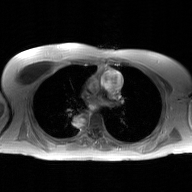
{"modality": {"type": "2D phase-contrast cine MRI", "region": "ascending aorta", "reconstruction": "GAN super-resolution reconstruction"}}